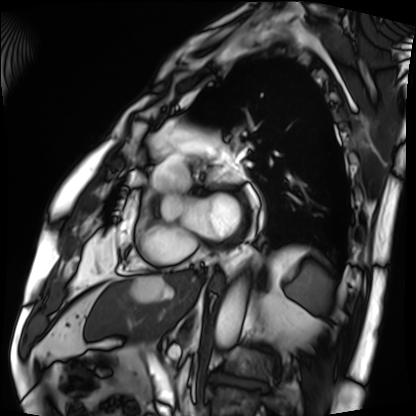
Q: What kind of scan is this?
A: Cardiac MRI.
Subject group: patient.